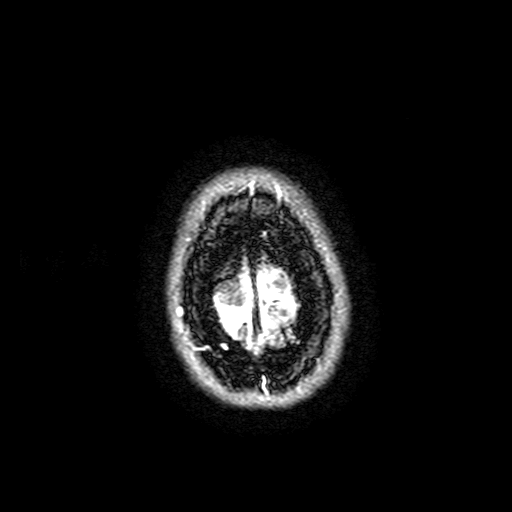
modality: 3 Tesla brain MRI | series: FLAIR with SPAIR, 3 mm | study: ring-enhancing brain masses.